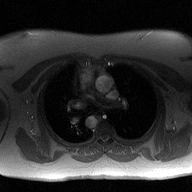
- modality · 2D phase-contrast cine MRI of the ascending aorta